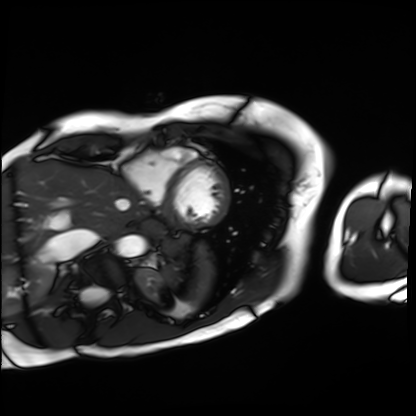
Q: What kind of scan is this?
A: Cardiac MRI.
Subject group: patient.